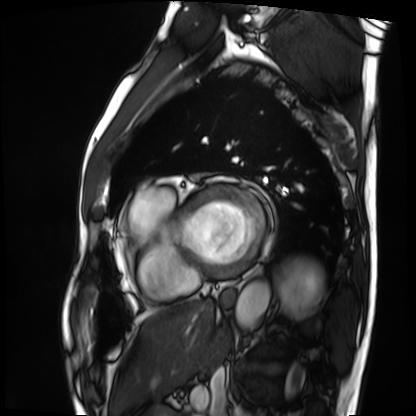
<scan>
  <modality>cardiac MRI</modality>
  <cohort>patient</cohort>
</scan>